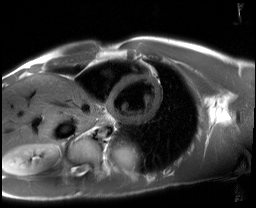
Cardiac MRI. Subject group: healthy volunteer.